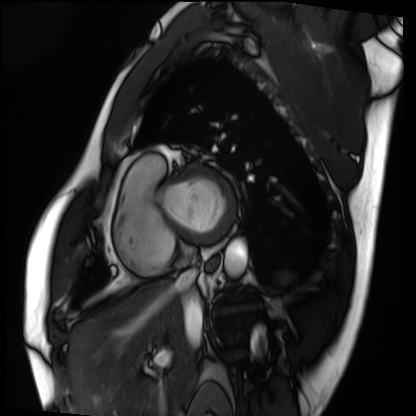
Summary: Cardiac MRI. Subject group: patient.